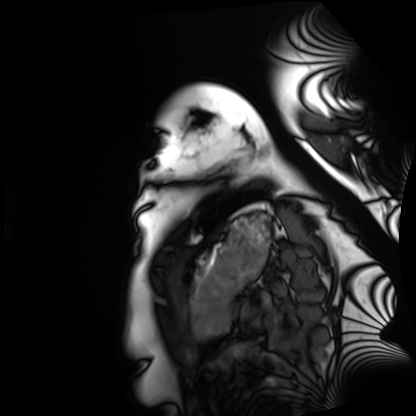
  modality: cardiac MRI
  cohort: healthy volunteer